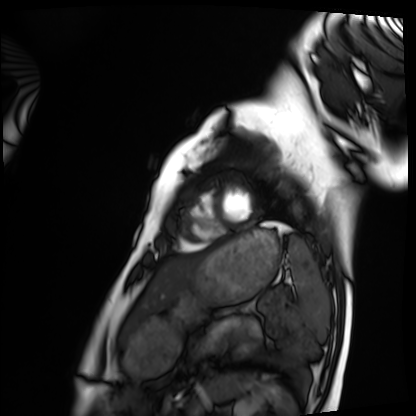
Cardiac MRI.
Subject group: healthy volunteer.